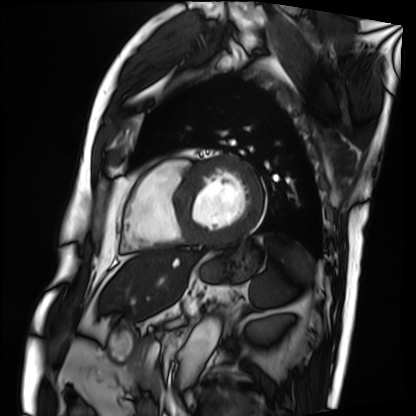
Cardiac MRI. Subject group: patient.